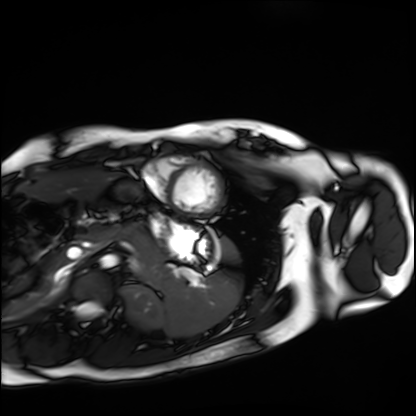
Cardiac MRI. Subject group: healthy volunteer.